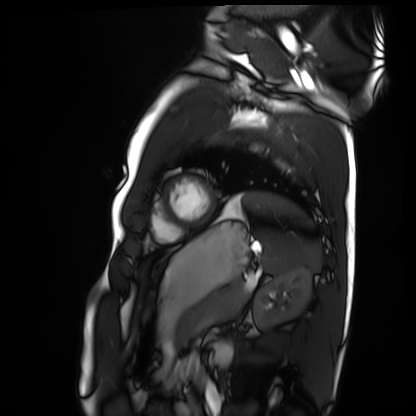
Cardiac MRI. Subject group: healthy volunteer.